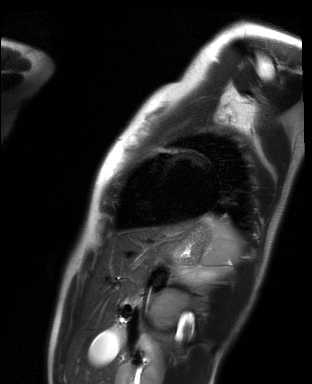
Cardiac MR image of the myocardium. Subject cohort: healthy volunteer.